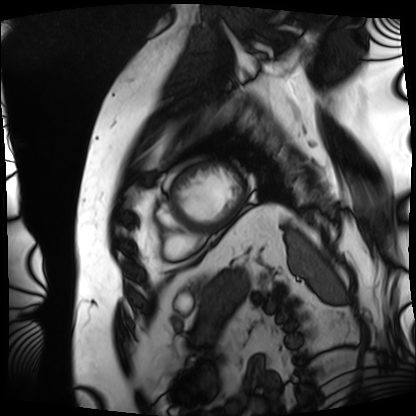
{"modality": "cardiac MRI", "cohort": "patient"}